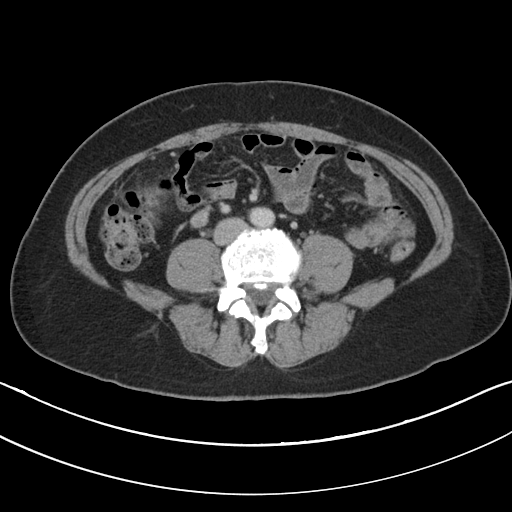
| field | value |
|---|---|
| modality | multiphase abdominal CT, liver, portal venous phase |
| patient | female, age 54 |